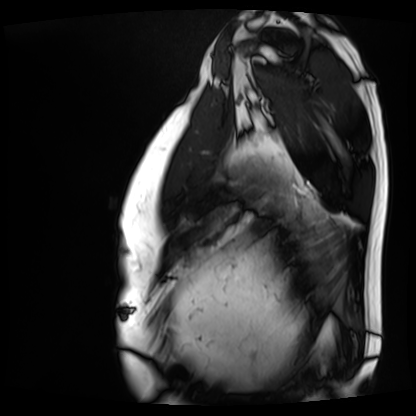
Summary:
Cardiac MRI. Subject group: patient.